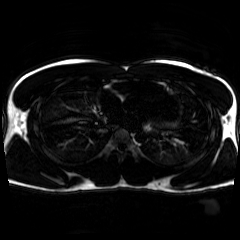
modality: chemical-shift-encoded cardiac MRI